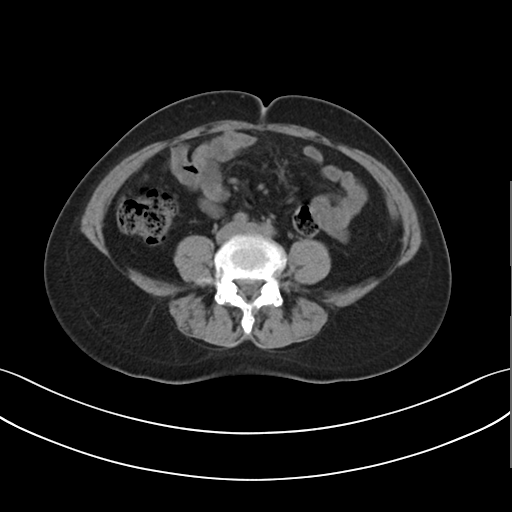
Q: What kind of scan is this?
A: Multiphase abdominal CT, liver, non-contrast phase.
Q: Patient?
A: Female, age 54.
Q: History?
A: Prior chemotherapy.